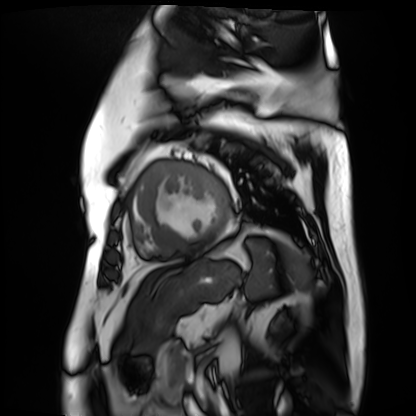
• modality — cardiac MR image of the myocardium
• subject cohort — cardiac patient